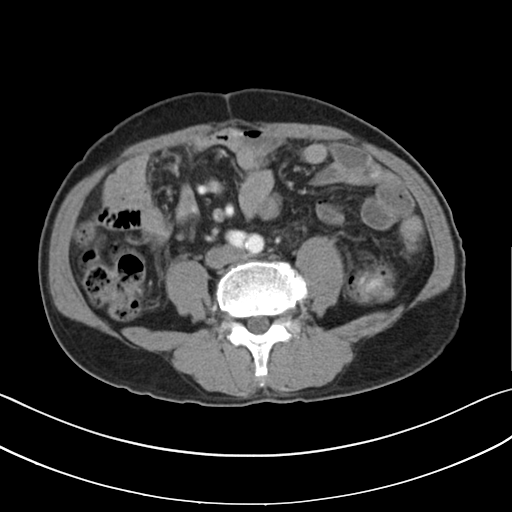
Multiphase abdominal CT, liver, arterial phase.